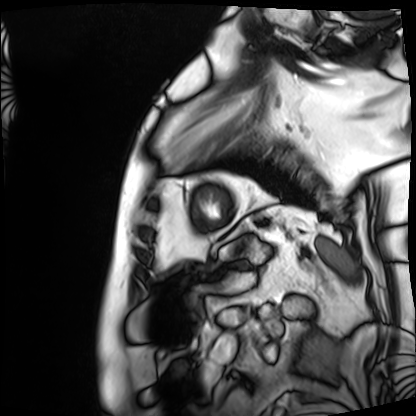
<case>
<modality>cardiac MRI</modality>
<cohort>patient</cohort>
</case>